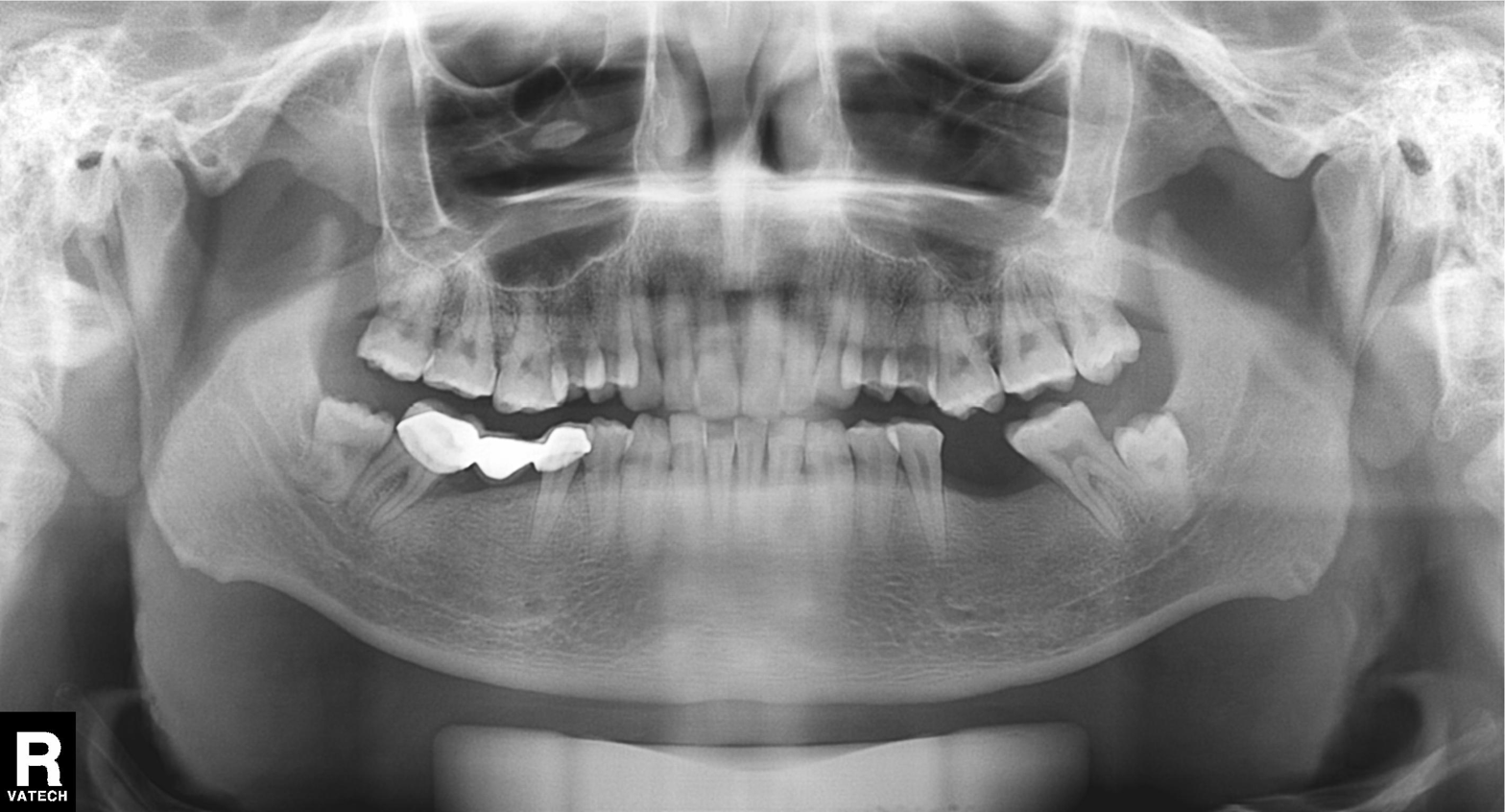
modality: panoramic dental radiograph (orthopantomogram)
finding: dental caries (cavities)